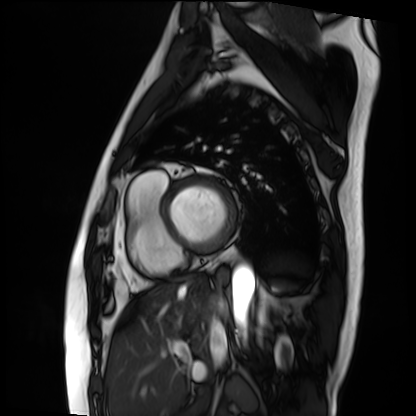
Cardiac MRI. Subject group: patient.